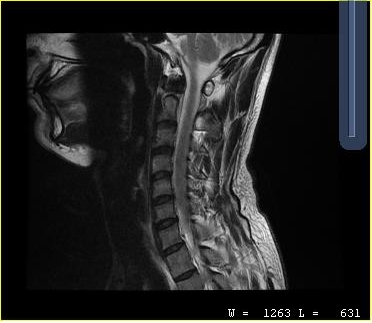
MRI of the cervical spine.
Study: cervical spondylosis.